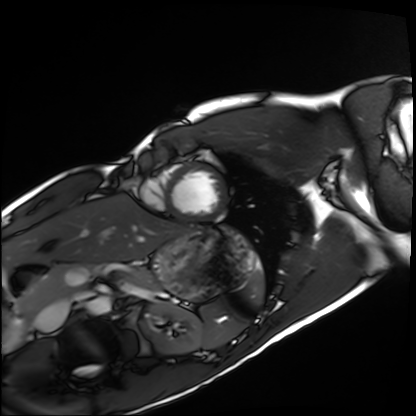
Case summary:
Cardiac MRI. Subject group: healthy volunteer.